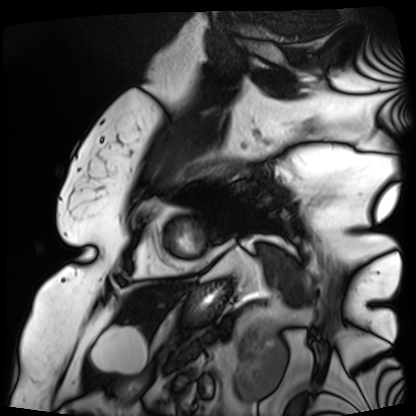
Cardiac MRI. Subject group: patient.